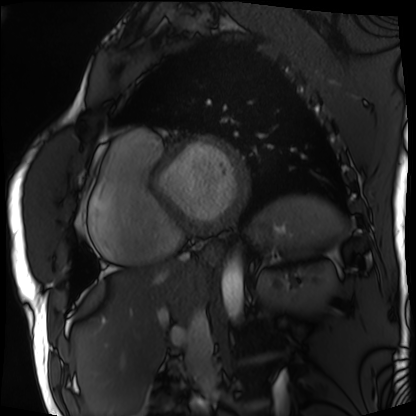
Q: What kind of scan is this?
A: Cardiac MRI.
Subject group: patient.